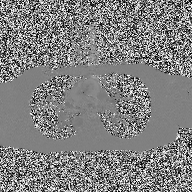
2D phase-contrast cine MRI of the ascending aorta, high-resolution GRAPPA acquisition.